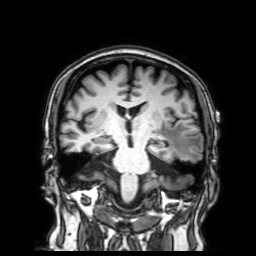
modality: 3 Tesla brain MRI; series: 3D T1-weighted with SENSE; study: ring-enhancing brain masses.